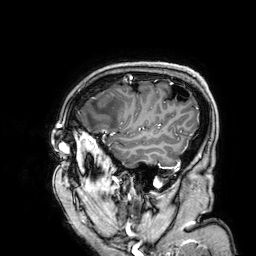
3 Tesla brain MRI. Series: 3D T1-weighted. Study: ring-enhancing brain masses.